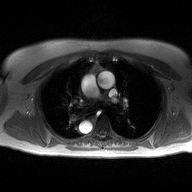
modality: 2D phase-contrast cine MRI of the ascending aorta.